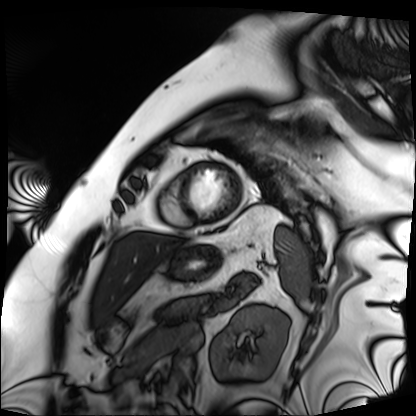
modality: cardiac MRI, subject group: patient.